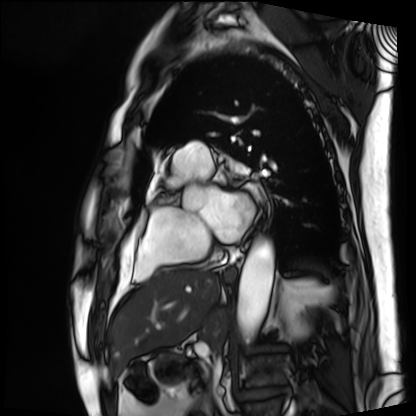
modality: cardiac MRI
subject group: patient